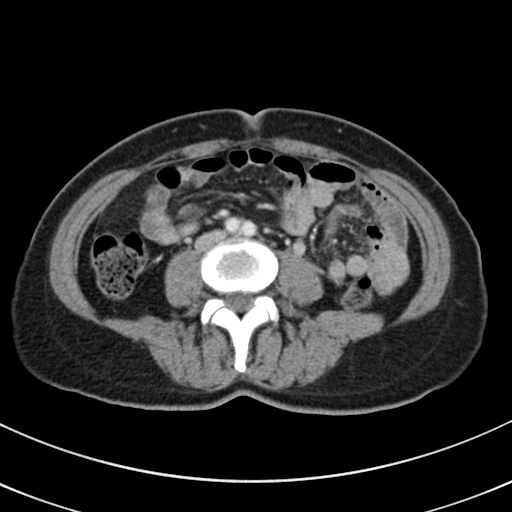
Clinical context:
Multiphase abdominal CT, liver, portal venous phase.